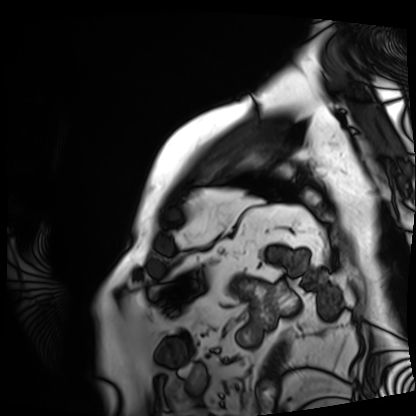
Q: What kind of scan is this?
A: Cardiac MRI.
Subject group: patient.